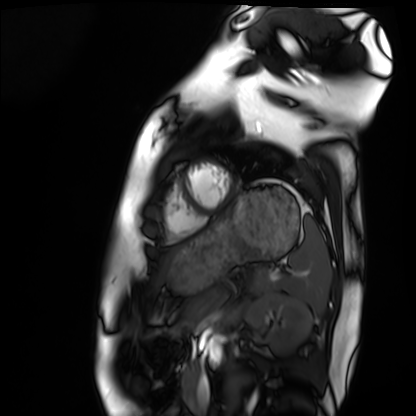
Cardiac MRI. Subject group: healthy volunteer.